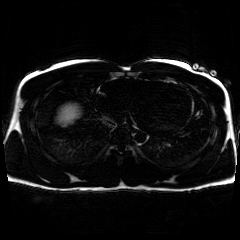
Chemical-shift-encoded cardiac MRI.